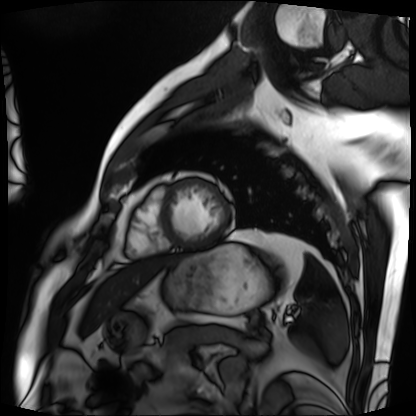
Cardiac MRI.
Subject group: patient.